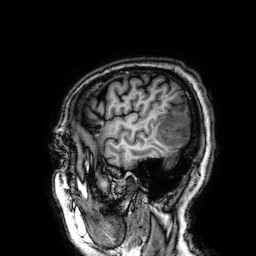
| field | value |
|---|---|
| modality | 3 Tesla brain MRI |
| series | 3D T1-weighted |
| study | ring-enhancing brain masses |